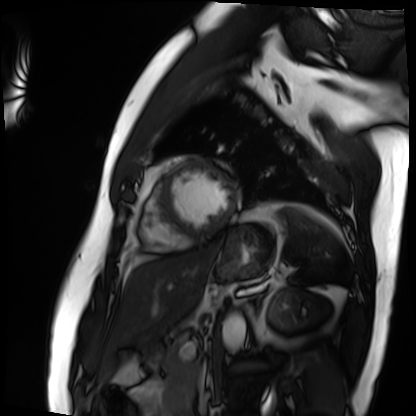
| field | value |
|---|---|
| modality | cardiac MRI |
| subject group | patient |